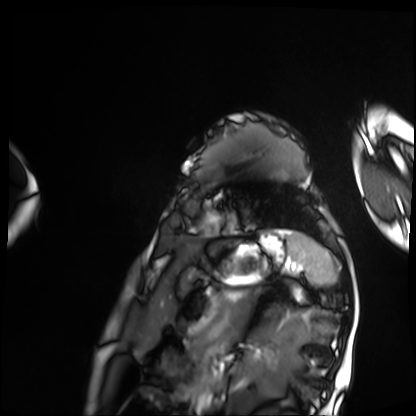
Q: What kind of scan is this?
A: Cardiac MRI.
Subject group: patient.